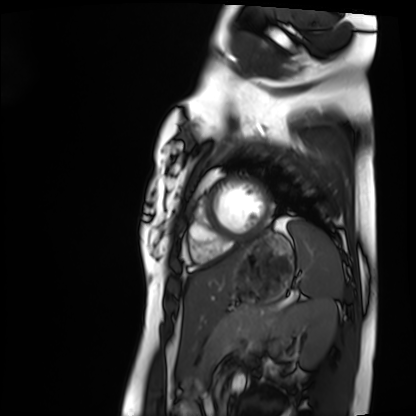
Cardiac MRI. Subject group: healthy volunteer.